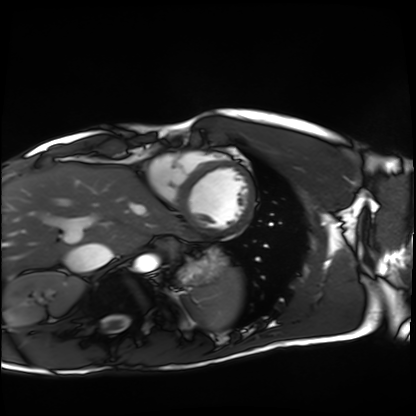
Q: What kind of scan is this?
A: Cardiac MRI.
Subject group: healthy volunteer.